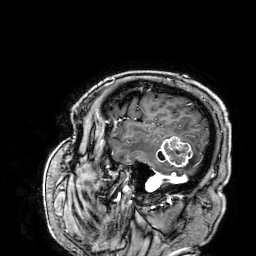
3 Tesla brain MRI.
Series: 3D T1-weighted.
Study: ring-enhancing brain masses.